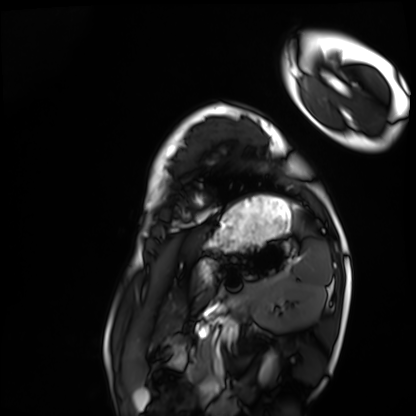
{
  "modality": "cardiac MRI",
  "cohort": "healthy volunteer"
}